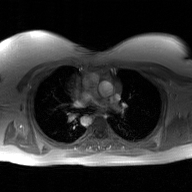
| field | value |
|---|---|
| modality | 2D phase-contrast cine MRI of the ascending aorta, GAN super-resolution reconstruction |